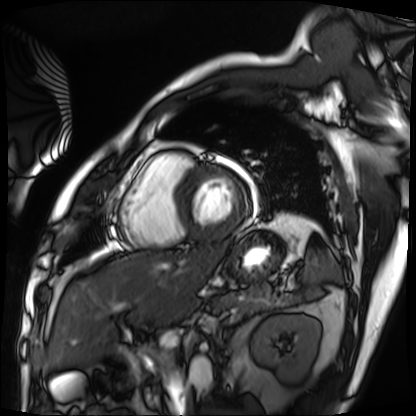
Summary:
Cardiac MRI. Subject group: patient.